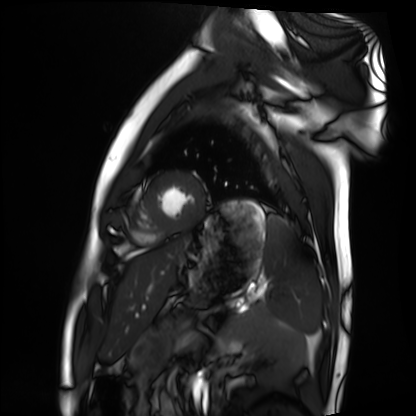
Summary: Cardiac MRI. Subject group: healthy volunteer.